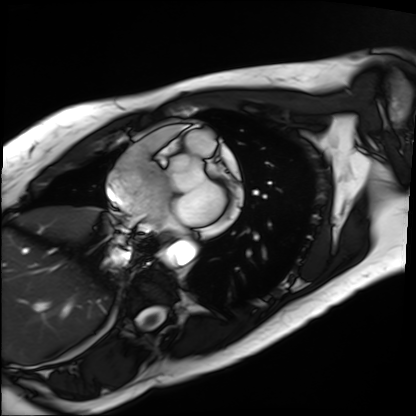
* modality · cardiac MRI
* subject group · patient